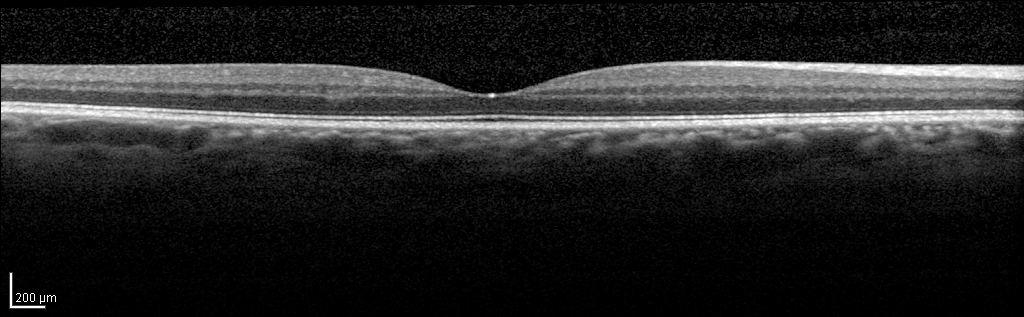
Spectral-domain optical coherence tomography (SD-OCT) of the macula. Subject: female, age 52, right eye. Cohort: non-diabetic control. ETDRS-grid retinal thickness (μm): central 275, inner temporal 342, inner nasal 356, inner superior 358, inner inferior 355, outer temporal 291, outer nasal 319, outer superior 314, outer inferior 306.